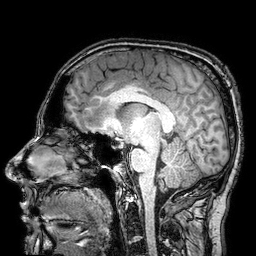
Clinical context: 3 Tesla brain MRI. Series: 3D T1-weighted turbo field echo with SENSE. Study: ring-enhancing brain masses.